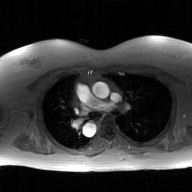
modality: 2D phase-contrast cine MRI of the ascending aorta, GAN super-resolution reconstruction.